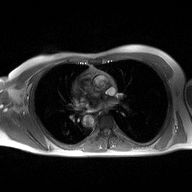
Q: What kind of scan is this?
A: 2D phase-contrast cine MRI of the ascending aorta.